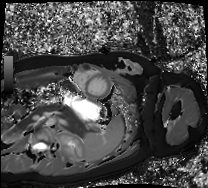
- modality — cardiac MRI
- subject group — healthy volunteer